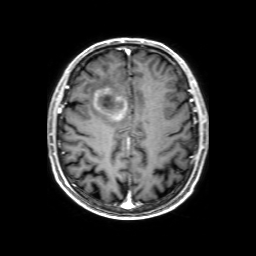
modality = 3 Tesla brain MRI | series = 3D T1-weighted with SENSE | study = ring-enhancing brain masses.